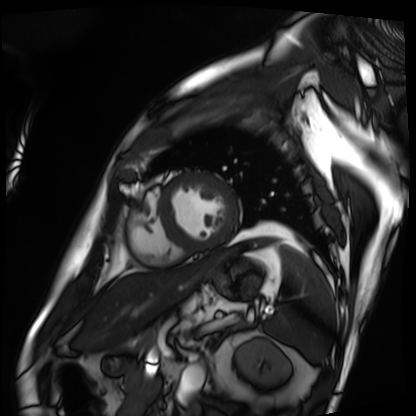
{
  "modality": "cardiac MRI",
  "cohort": "patient"
}